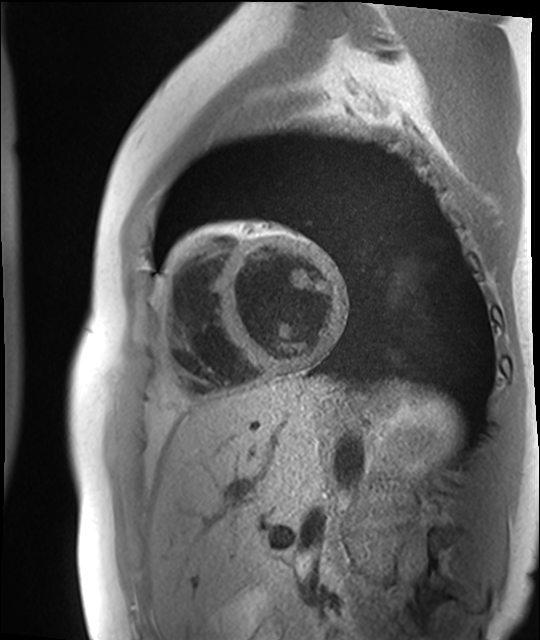
| field | value |
|---|---|
| modality | cardiac MR image of the myocardium |
| subject cohort | healthy volunteer |